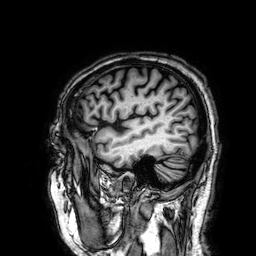
3 Tesla brain MRI. Series: 3D T1-weighted. Study: ring-enhancing brain masses.